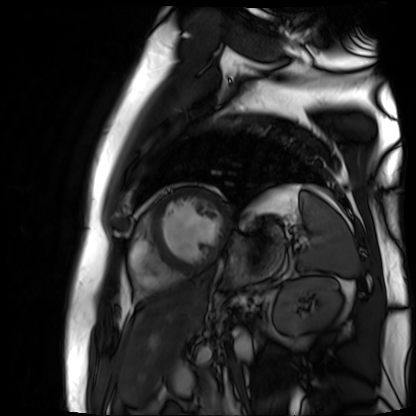
  modality: cardiac MR image of the myocardium
  cohort: cardiac patient